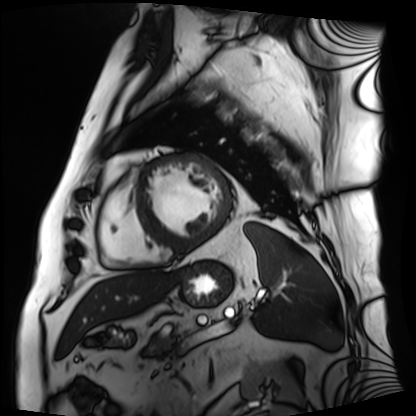
{"modality": "cardiac MRI", "cohort": "patient"}